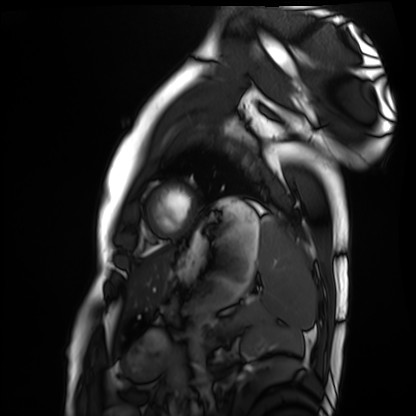
- modality · cardiac MRI
- subject group · healthy volunteer